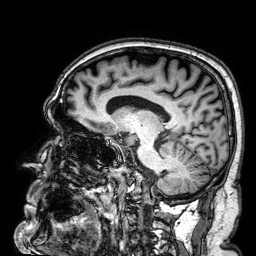
Summary: 3 Tesla brain MRI. Series: 3D T1-weighted. Study: ring-enhancing brain masses.